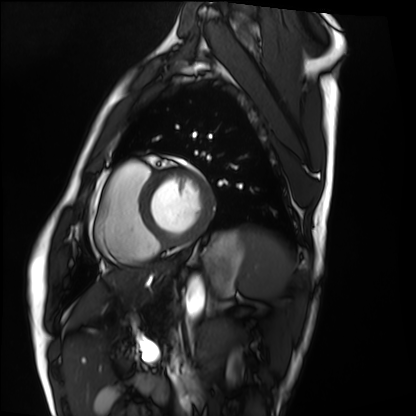
Summary: Cardiac MRI. Subject group: healthy volunteer.